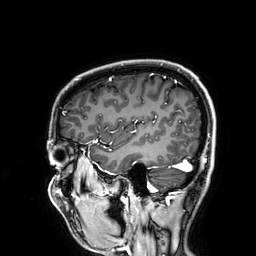
modality = 3 Tesla brain MRI; series = 3D T1-weighted; study = ring-enhancing brain masses.